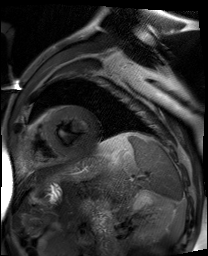
Cardiac MR image of the myocardium. Subject cohort: cardiac patient.